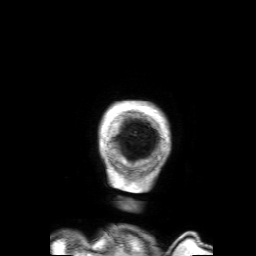
• modality · 3 Tesla brain MRI
• series · 3D T1-weighted with SENSE
• study · ring-enhancing brain masses